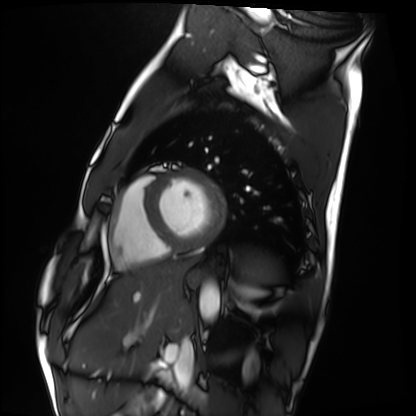
Cardiac MRI. Subject group: healthy volunteer.